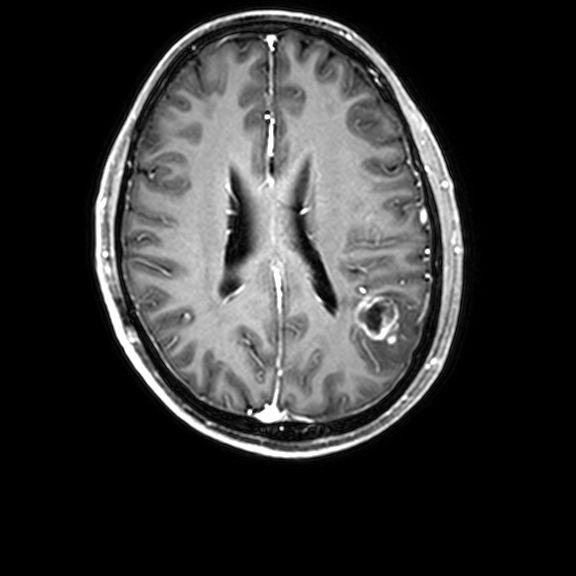
3 Tesla brain MRI. Series: 3D T1-weighted with CLEAR. Study: ring-enhancing brain masses.